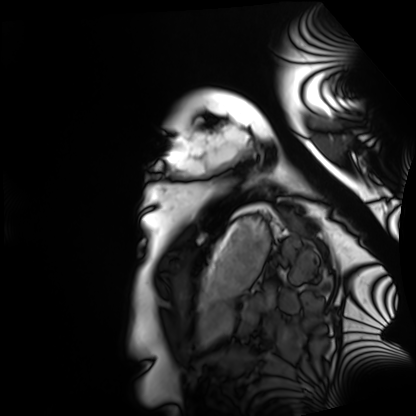
Case:
- modality · cardiac MRI
- subject group · healthy volunteer